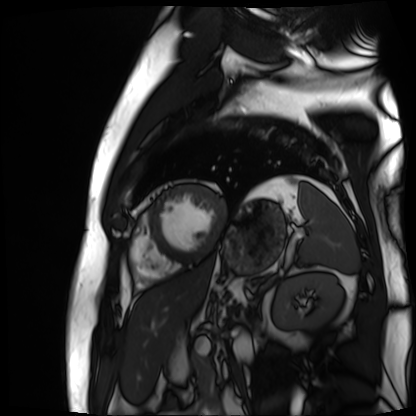
<study>
  <modality>cardiac MR image of the myocardium</modality>
  <cohort>cardiac patient</cohort>
</study>